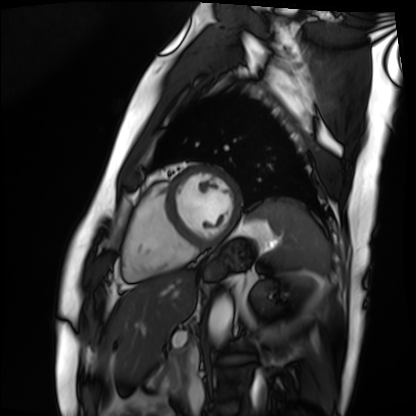
modality: cardiac MRI
subject group: patient